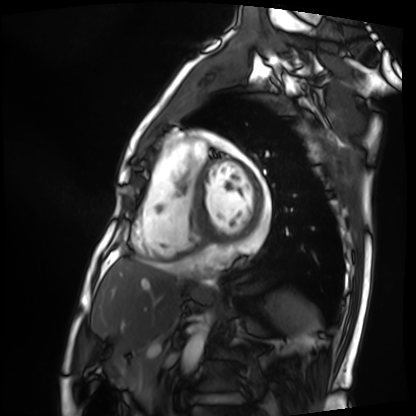
modality: cardiac MRI | subject group: patient.